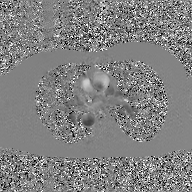
Q: What kind of scan is this?
A: 2D phase-contrast cine MRI of the ascending aorta, GAN super-resolution reconstruction.